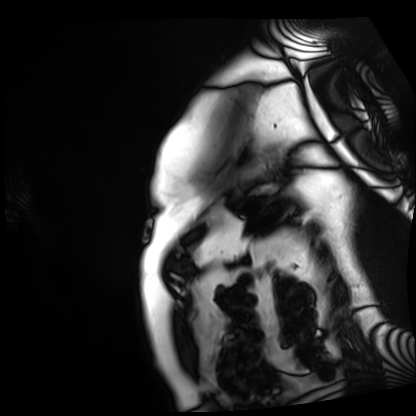
modality=cardiac MRI
subject group=patient